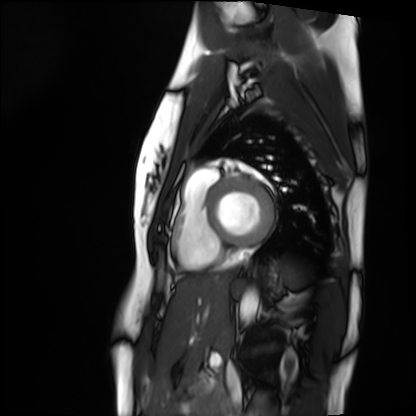
Clinical context: Cardiac MRI. Subject group: healthy volunteer.